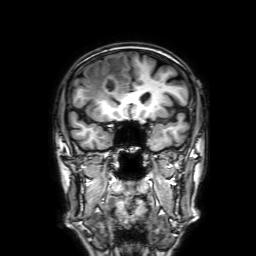
Case:
* modality · 3 Tesla brain MRI
* series · 3D T1-weighted with SENSE
* study · ring-enhancing brain masses